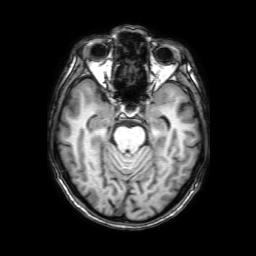
{
  "modality": {
    "type": "brain MRI",
    "field_strength": "3T"
  },
  "series": "3D T1-weighted with SENSE",
  "study_topic": "ring-enhancing brain masses"
}